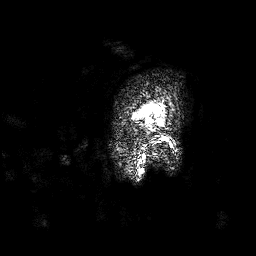
modality — 3 Tesla brain MRI
series — 3D T1-weighted
study — ring-enhancing brain masses